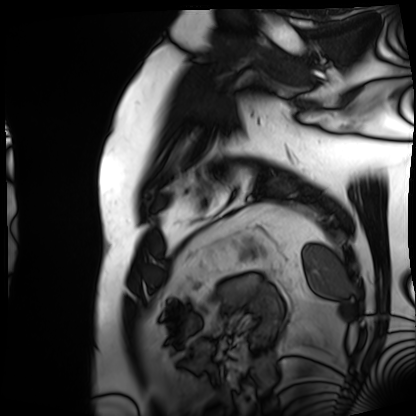
| field | value |
|---|---|
| modality | cardiac MRI |
| subject group | patient |